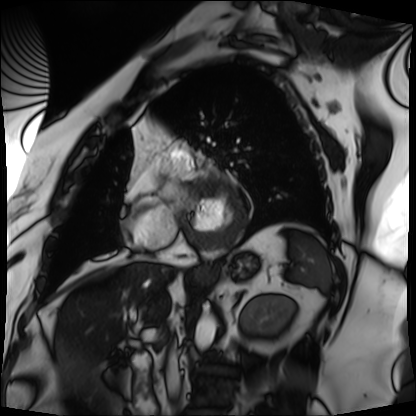
modality: cardiac MRI; subject group: patient.